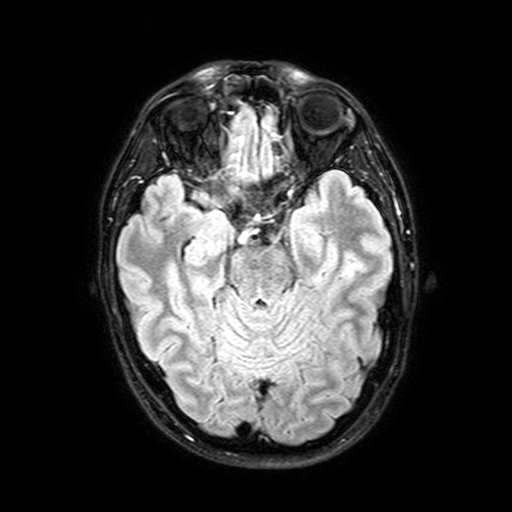
Summary: 3 Tesla brain MRI. Series: FLAIR with SPAIR, 3 mm. Study: ring-enhancing brain masses.